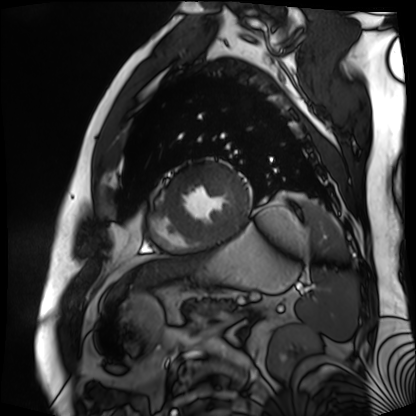
Q: What kind of scan is this?
A: Cardiac MR image of the myocardium.
Subject cohort: cardiac patient.